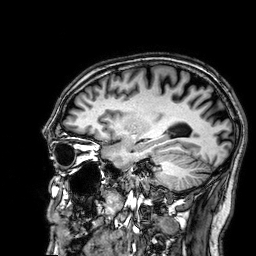
modality: 3 Tesla brain MRI; series: 3D T1-weighted; study: ring-enhancing brain masses.